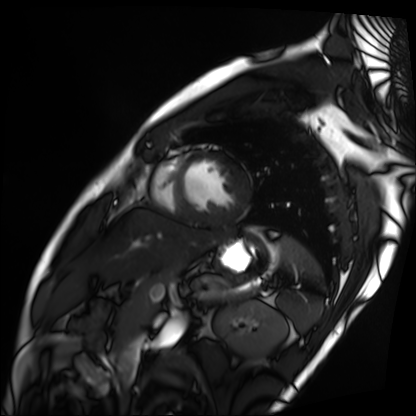
Summary:
Cardiac MRI. Subject group: patient.